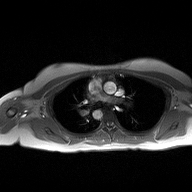
* modality · 2D phase-contrast cine MRI of the ascending aorta